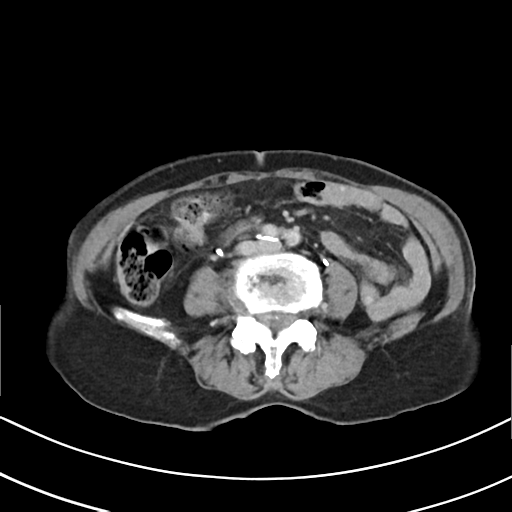
Multiphase abdominal CT, liver, delayed phase. Patient: female, age 75.